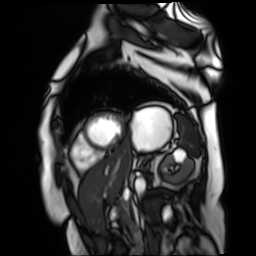
modality = cardiac MR image of the myocardium; subject cohort = cardiac patient.